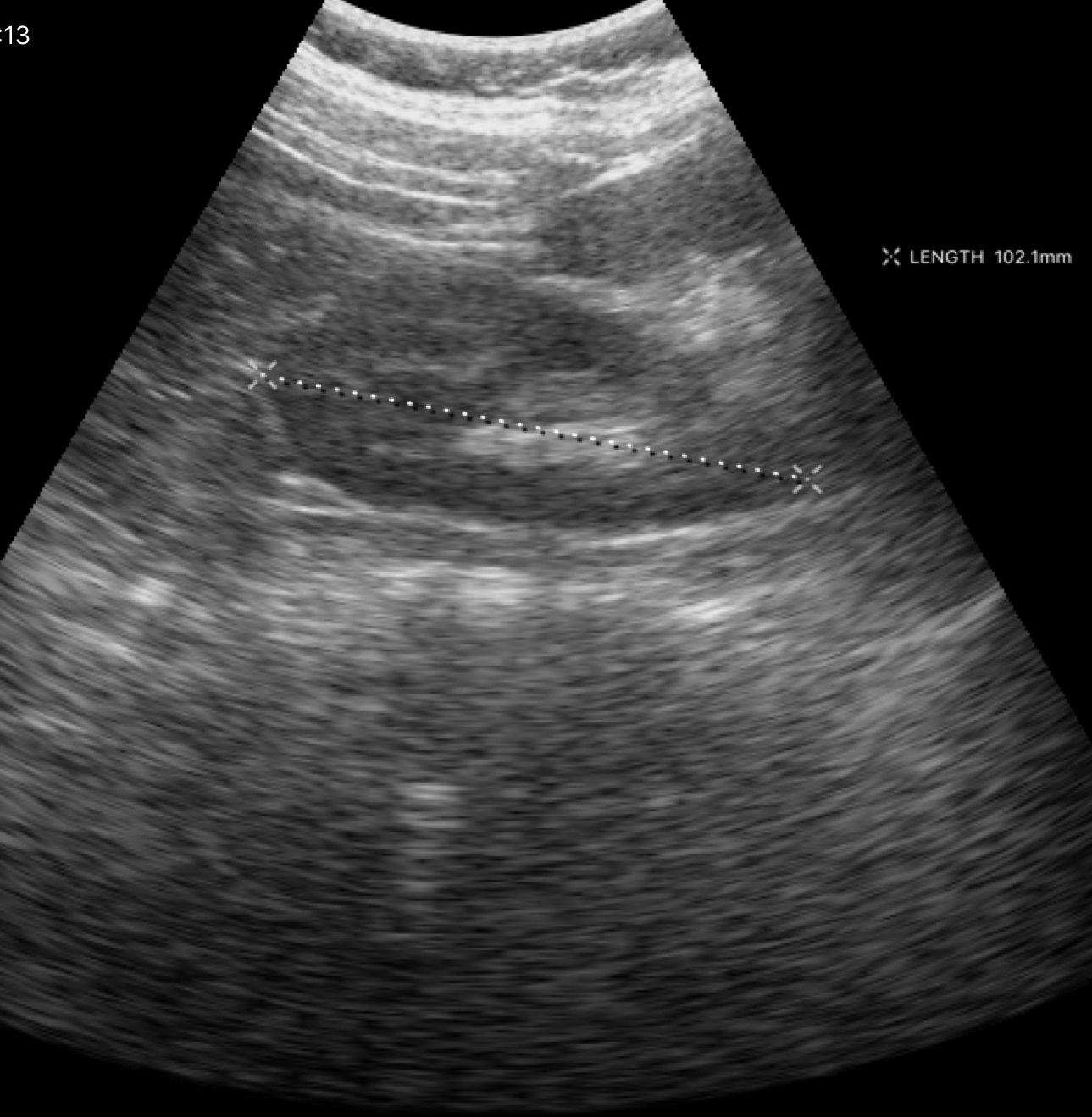
Clinical context:
Genitourinary ultrasound.